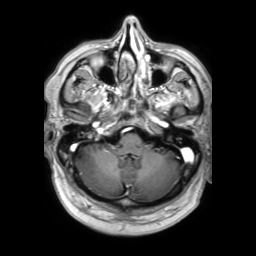
3 Tesla brain MRI. Series: 3D T1-weighted TFE with SENSE. Study: ring-enhancing brain masses.